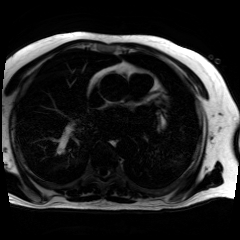
modality = chemical-shift-encoded cardiac MRI